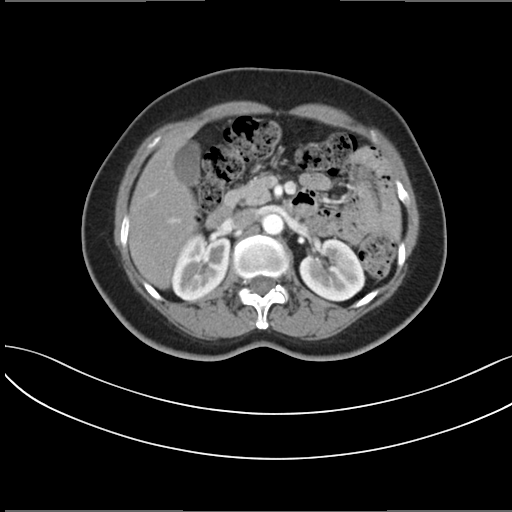
Summary: Multiphase abdominal CT, liver, arterial phase. Patient: female, age 52. History: prior chemotherapy.